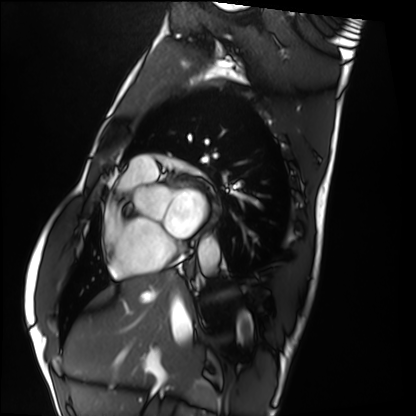
modality: cardiac MRI
subject group: healthy volunteer